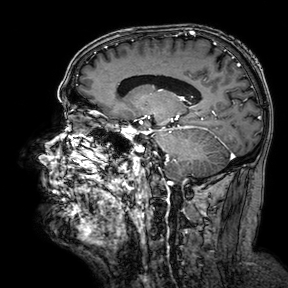
Case summary:
3 Tesla brain MRI. Series: 3D T1-weighted turbo field echo with SENSE. Study: ring-enhancing brain masses.